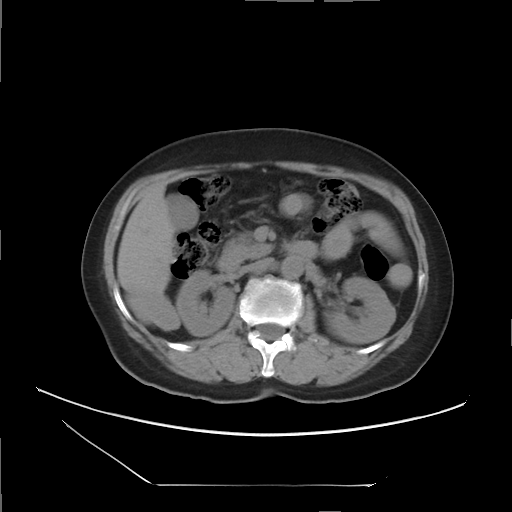
Multiphase abdominal CT, liver, non-contrast phase. Patient: female, age 60.